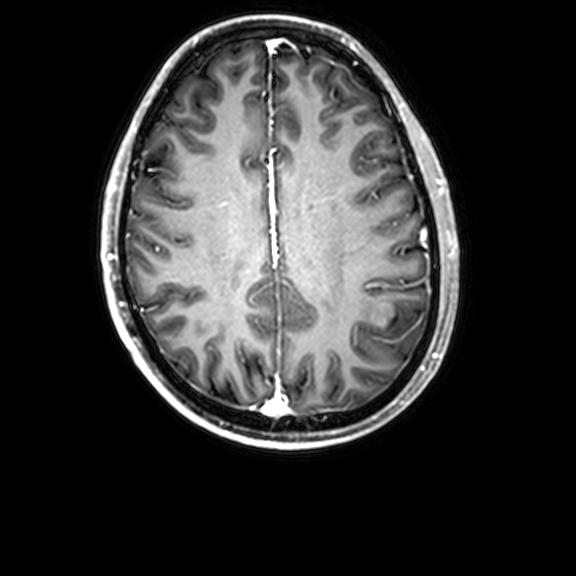
3 Tesla brain MRI. Series: 3D T1-weighted with CLEAR. Study: ring-enhancing brain masses.